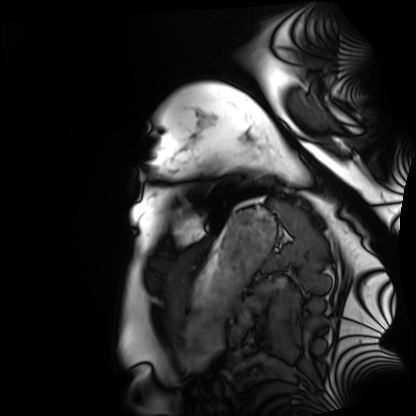
Cardiac MRI. Subject group: healthy volunteer.